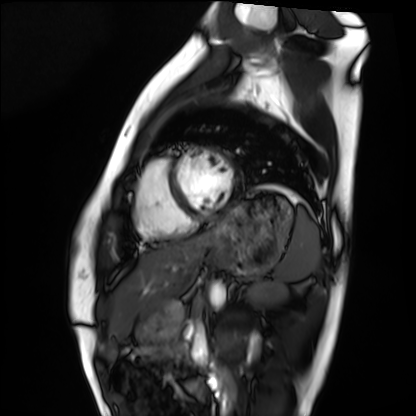
<case>
<modality>cardiac MRI</modality>
<cohort>healthy volunteer</cohort>
</case>